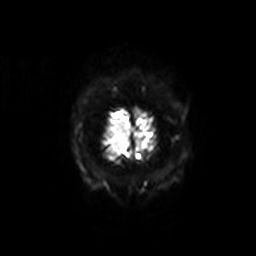
3 Tesla brain MRI.
Series: diffusion-weighted imaging with SENSE (WIP).
Study: ring-enhancing brain masses.